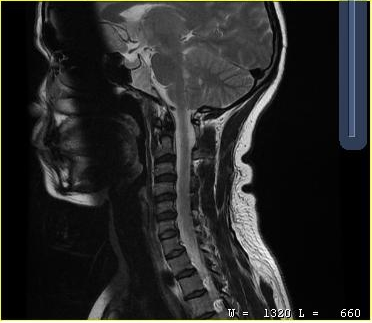
MRI of the cervical spine.
Study: cervical spondylosis.